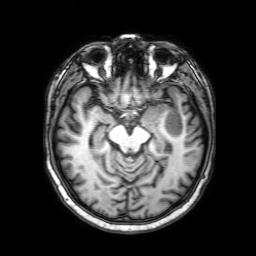
3 Tesla brain MRI.
Series: 3D T1-weighted with SENSE.
Study: ring-enhancing brain masses.